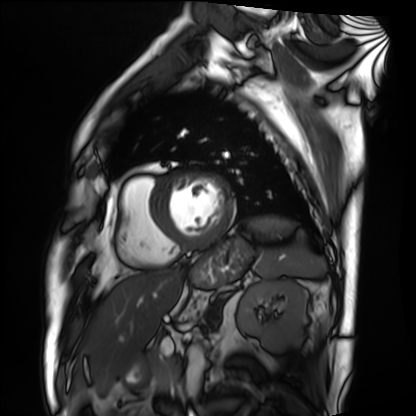
Q: What kind of scan is this?
A: Cardiac MRI.
Subject group: patient.